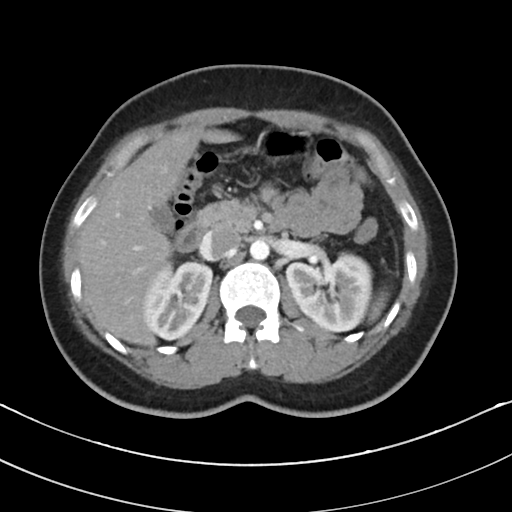
modality: multiphase abdominal CT, liver, arterial phase; patient: female, age 31; history: prior chemotherapy.